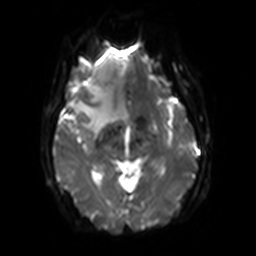
3 Tesla brain MRI.
Series: diffusion-weighted imaging with SENSE (WIP).
Study: ring-enhancing brain masses.